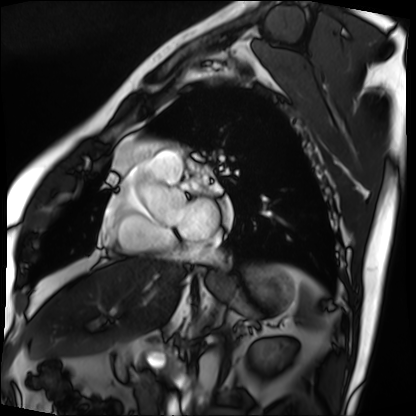
Cardiac MRI.
Subject group: patient.